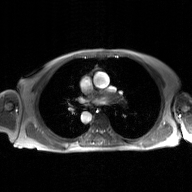
2D phase-contrast cine MRI of the ascending aorta, GAN super-resolution reconstruction.